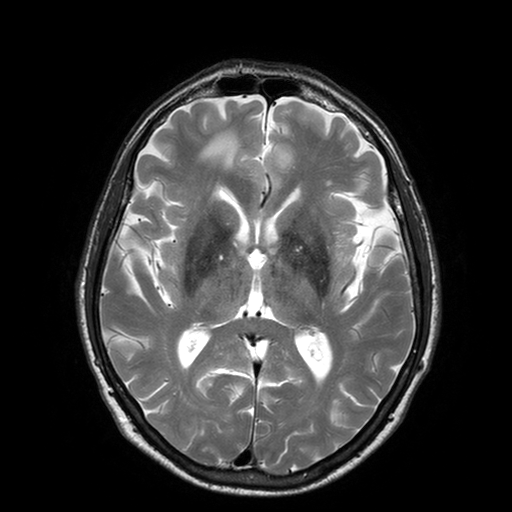
modality = 3 Tesla brain MRI
series = T2-weighted turbo spin echo with SENSE
study = ring-enhancing brain masses